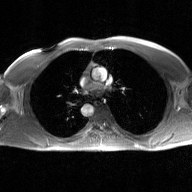
modality = 2D phase-contrast cine MRI of the ascending aorta, GAN super-resolution reconstruction.